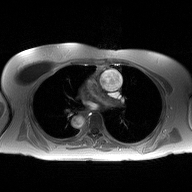
{"modality": {"type": "2D phase-contrast cine MRI", "region": "ascending aorta", "reconstruction": "high-resolution GRAPPA acquisition"}}